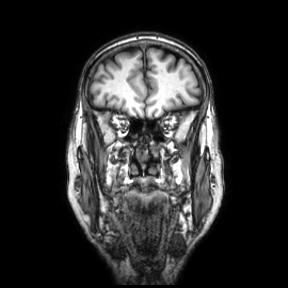
{
  "modality": {
    "type": "brain MRI",
    "field_strength": "3T"
  },
  "series": "coronal",
  "study_topic": "ring-enhancing brain masses"
}